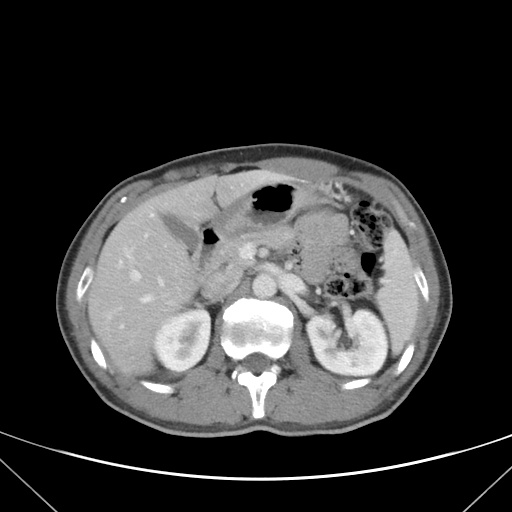
– modality — multiphase abdominal CT, liver, portal venous phase
– patient — female, age 36